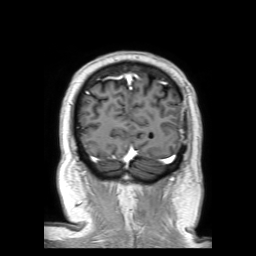
3 Tesla brain MRI. Series: 3D T1-weighted TFE with SENSE. Study: ring-enhancing brain masses.